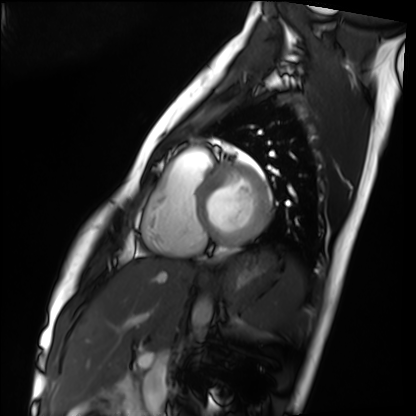
Cardiac MRI. Subject group: healthy volunteer.